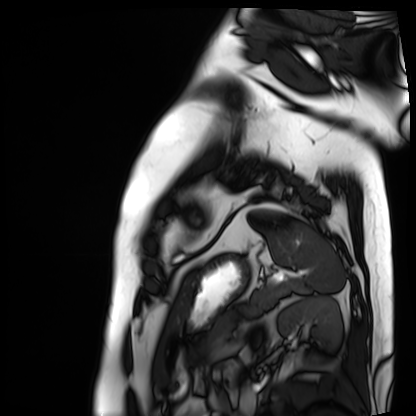
Cardiac MRI. Subject group: patient.